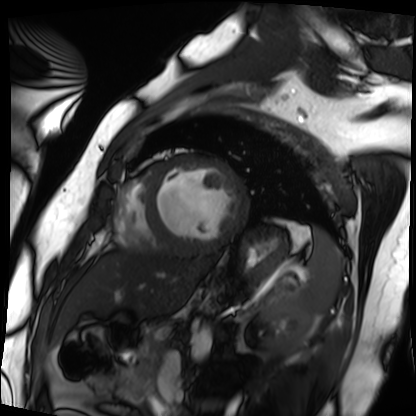
Cardiac MRI. Subject group: patient.